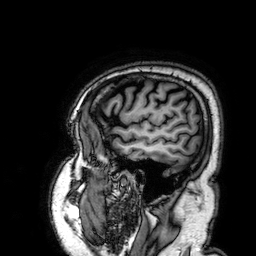
Clinical context: 3 Tesla brain MRI. Series: 3D T1-weighted. Study: ring-enhancing brain masses.